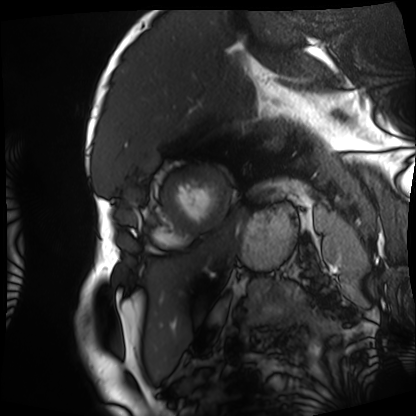
{"modality": "cardiac MRI", "cohort": "patient"}